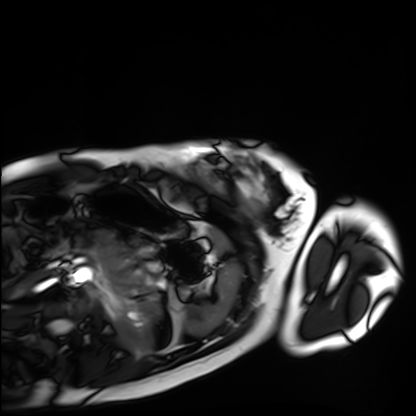
Summary: Cardiac MRI. Subject group: healthy volunteer.